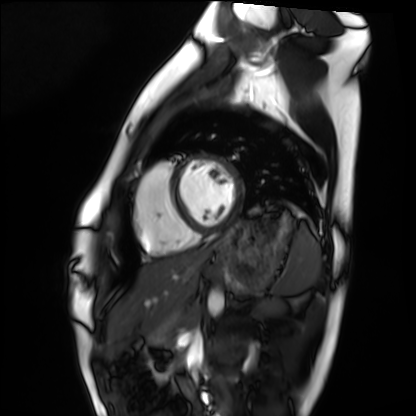
Cardiac MRI.
Subject group: healthy volunteer.